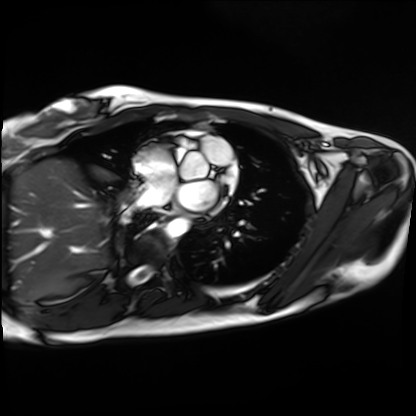
Cardiac MRI.
Subject group: healthy volunteer.